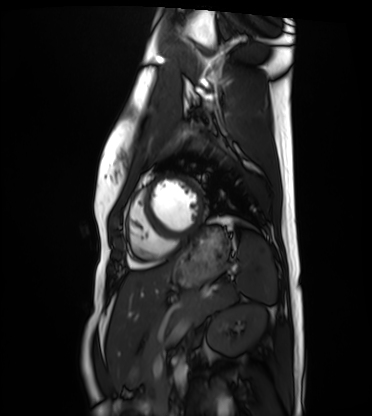
Case summary: Cardiac MRI. Subject group: healthy volunteer.